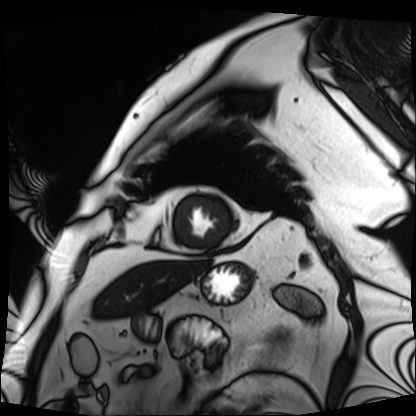
Cardiac MRI.
Subject group: patient.